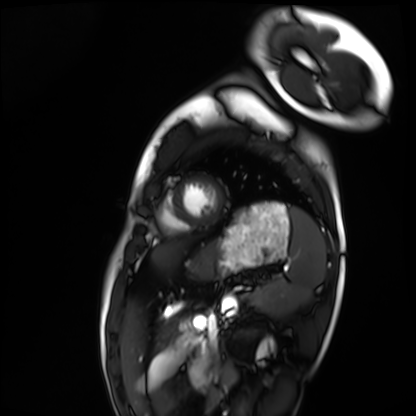
Q: What kind of scan is this?
A: Cardiac MRI.
Subject group: healthy volunteer.